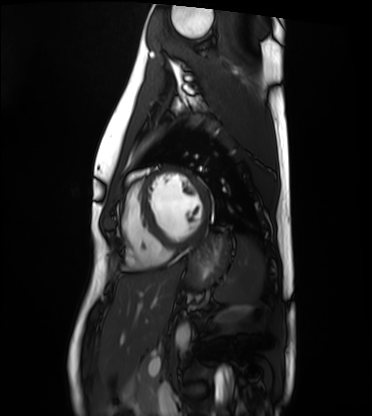
Q: What kind of scan is this?
A: Cardiac MRI.
Subject group: healthy volunteer.